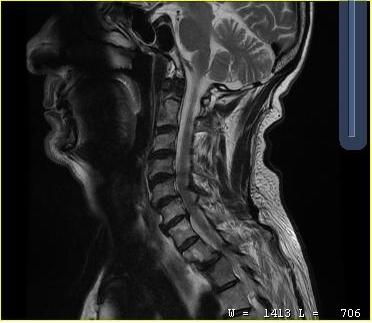
MRI of the cervical spine. Study: cervical spondylosis.